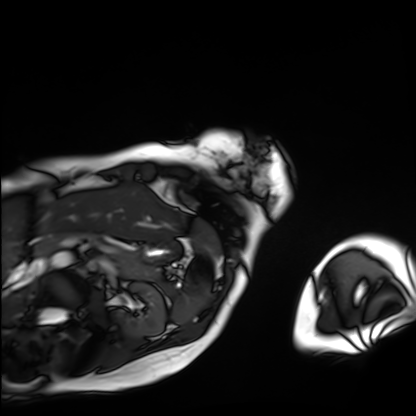
Cardiac MRI. Subject group: patient.